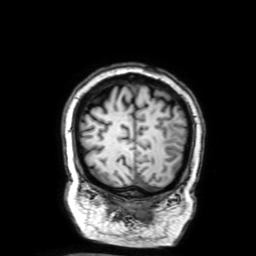
modality: 3 Tesla brain MRI
series: 3D T1-weighted with SENSE
study: ring-enhancing brain masses